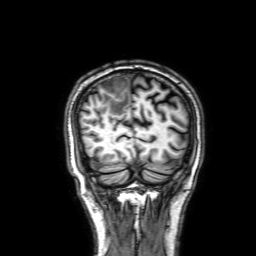
3 Tesla brain MRI.
Series: 3D T1-weighted with SENSE.
Study: ring-enhancing brain masses.